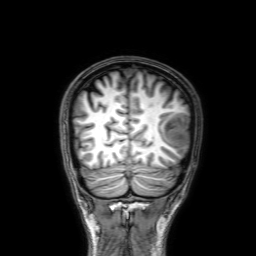
3 Tesla brain MRI. Series: 3D T1-weighted with SENSE. Study: ring-enhancing brain masses.